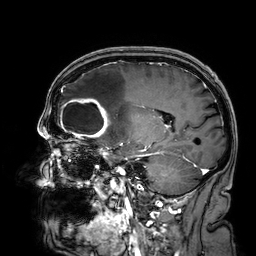
Q: What kind of scan is this?
A: 3 Tesla brain MRI.
Q: Series?
A: 3D T1-weighted.
Study: ring-enhancing brain masses.